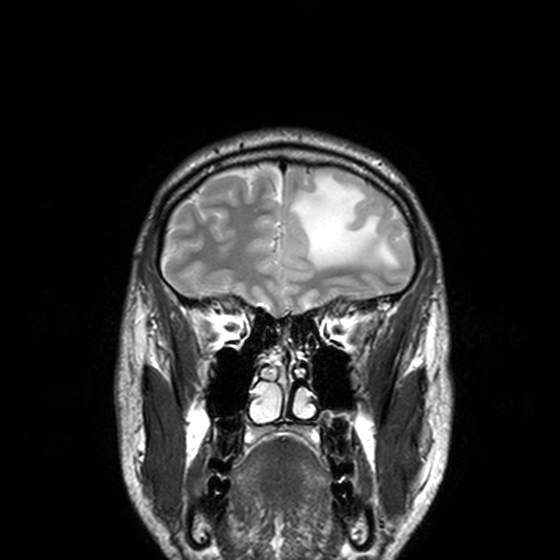
* modality — 3 Tesla brain MRI
* series — T2-weighted turbo spin echo, 3 mm
* study — ring-enhancing brain masses